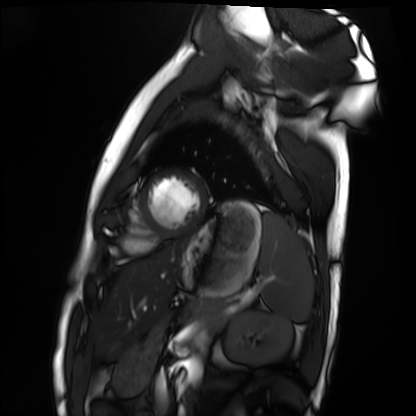
Q: What kind of scan is this?
A: Cardiac MRI.
Subject group: healthy volunteer.